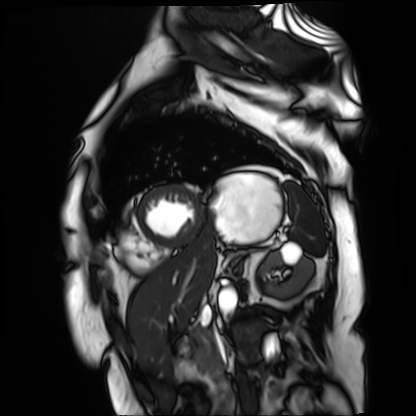
Cardiac MR image of the myocardium.
Subject cohort: cardiac patient.